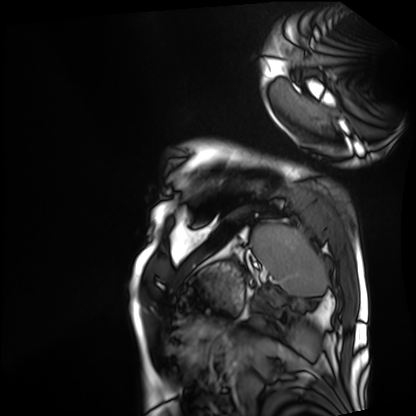
Cardiac MRI.
Subject group: patient.